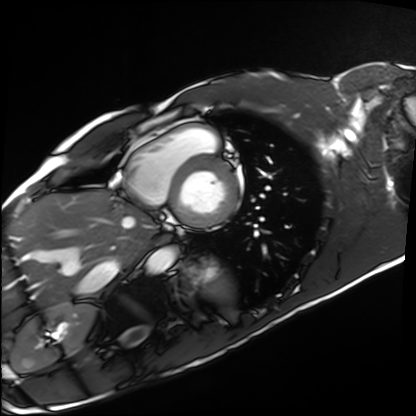
Cardiac MRI. Subject group: healthy volunteer.